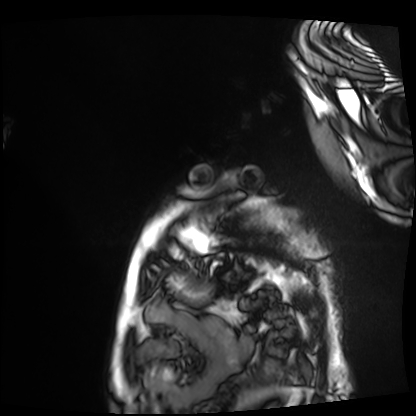
Cardiac MRI. Subject group: patient.